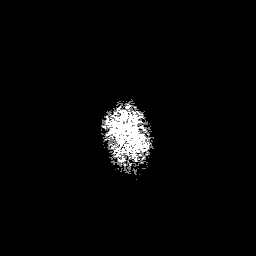
3 Tesla brain MRI.
Series: 3D T1-weighted with SENSE.
Study: ring-enhancing brain masses.